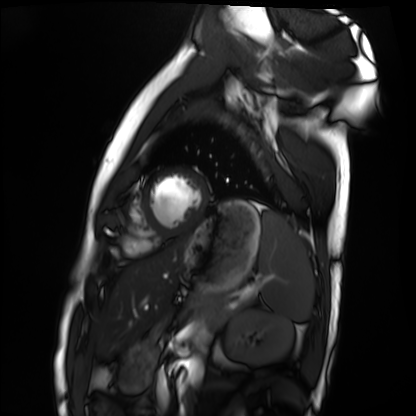
{"modality": "cardiac MRI", "cohort": "healthy volunteer"}